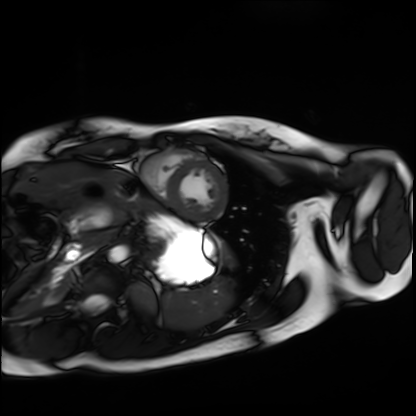
Summary: Cardiac MRI. Subject group: healthy volunteer.